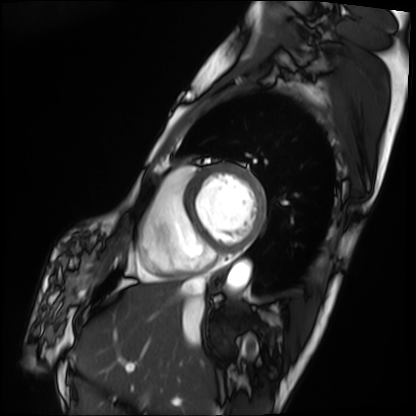
– modality: cardiac MRI
– subject group: patient